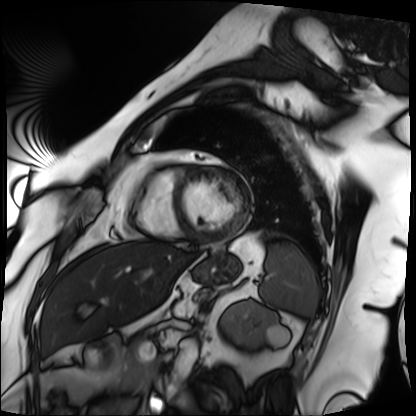
modality: cardiac MRI; subject group: patient.